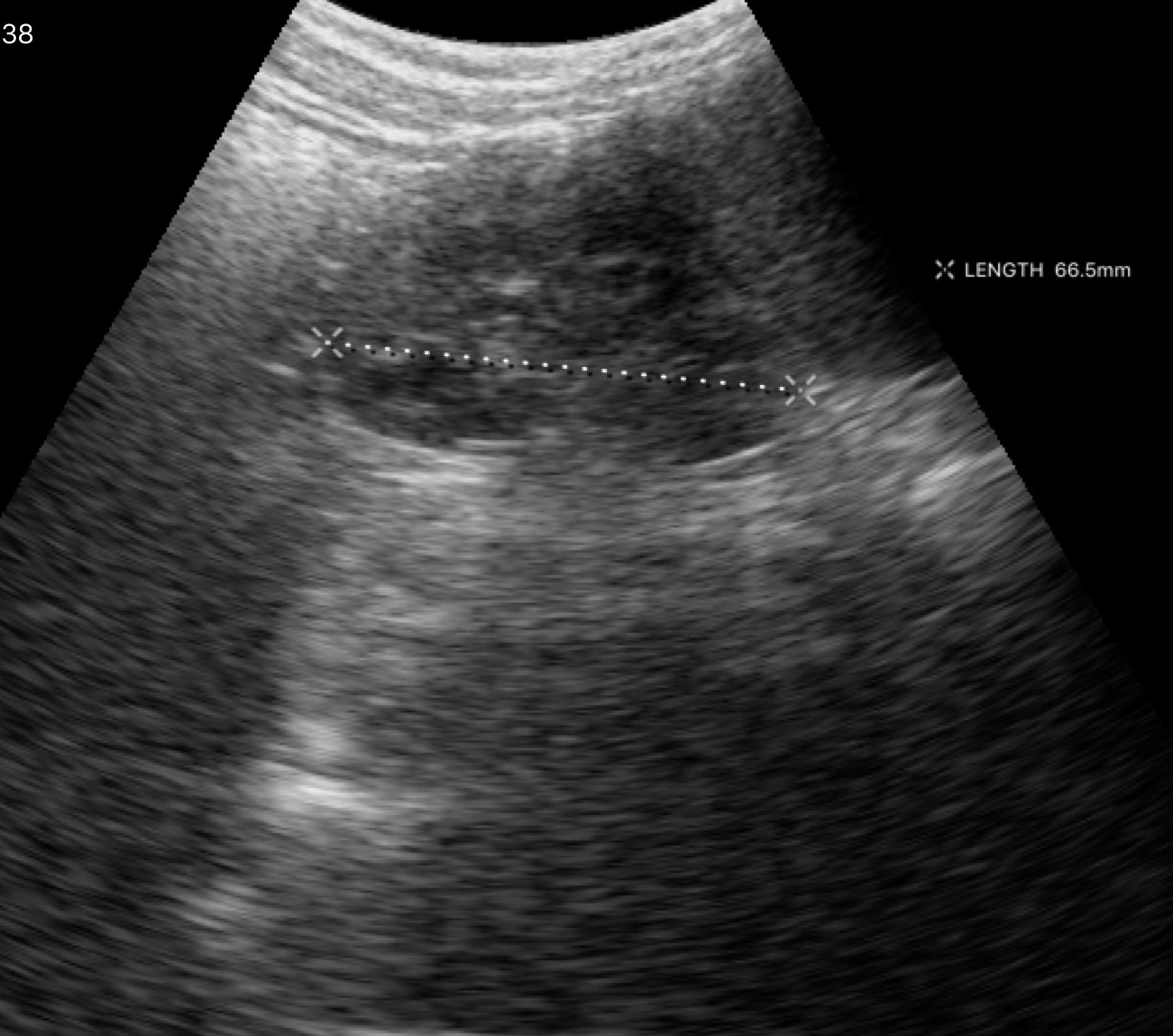
Genitourinary ultrasound.